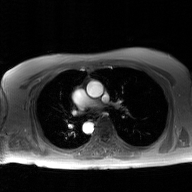
Q: What kind of scan is this?
A: 2D phase-contrast cine MRI of the ascending aorta, GAN super-resolution reconstruction.